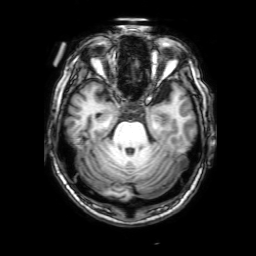
modality: 3 Tesla brain MRI
series: 3D T1-weighted with SENSE
study: ring-enhancing brain masses